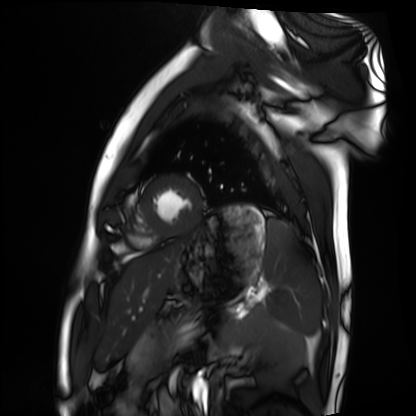
• modality: cardiac MRI
• subject group: healthy volunteer